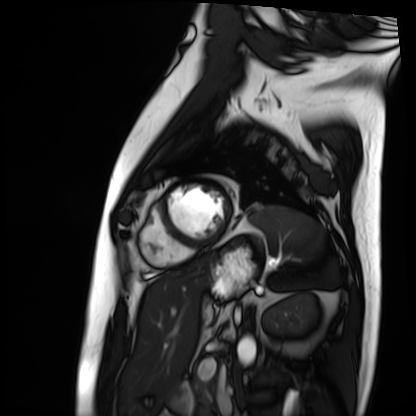
Cardiac MRI. Subject group: patient.